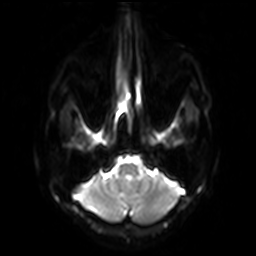
3 Tesla brain MRI.
Series: diffusion-weighted imaging with SENSE (WIP).
Study: ring-enhancing brain masses.